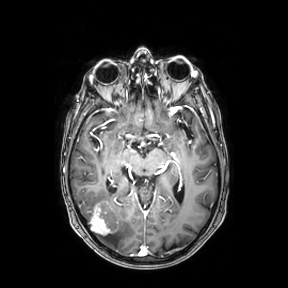
Case summary:
3 Tesla brain MRI. Series: axial. Study: ring-enhancing brain masses.